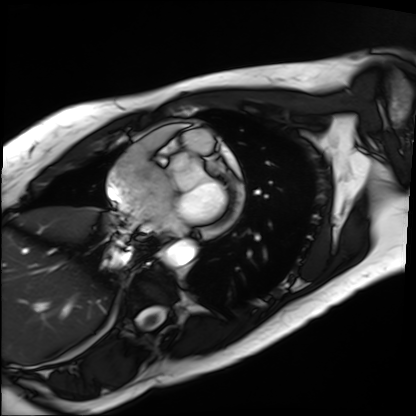
Cardiac MRI.
Subject group: patient.